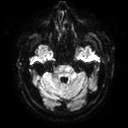
3 Tesla brain MRI. Series: diffusion tensor imaging (medium iso). Study: ring-enhancing brain masses.